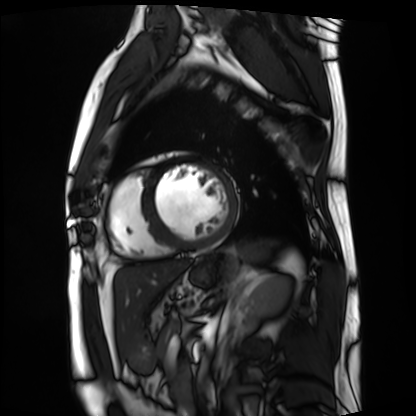
* modality — cardiac MRI
* subject group — patient